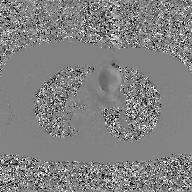
Q: What kind of scan is this?
A: 2D phase-contrast cine MRI of the ascending aorta, GAN super-resolution reconstruction.